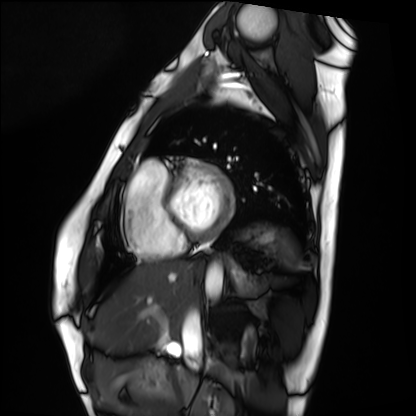
Case summary: Cardiac MRI. Subject group: healthy volunteer.